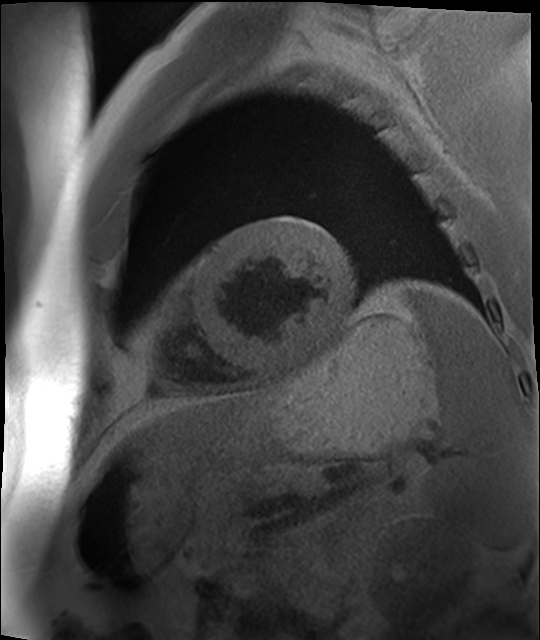
Summary:
Cardiac MR image of the myocardium. Subject cohort: cardiac patient.